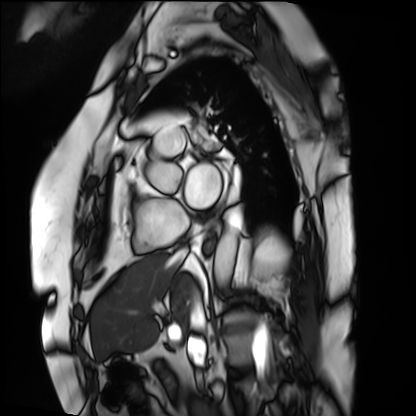
Case summary: Cardiac MRI. Subject group: patient.